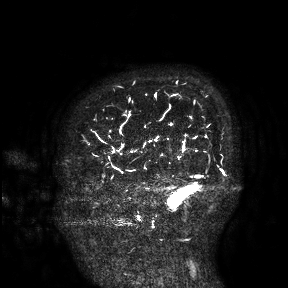
3 Tesla brain MRI. Study: ring-enhancing brain masses.